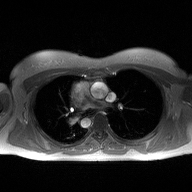
2D phase-contrast cine MRI of the ascending aorta, high-resolution GRAPPA acquisition.